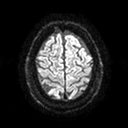
3 Tesla brain MRI. Series: diffusion tensor imaging (medium iso). Study: ring-enhancing brain masses.